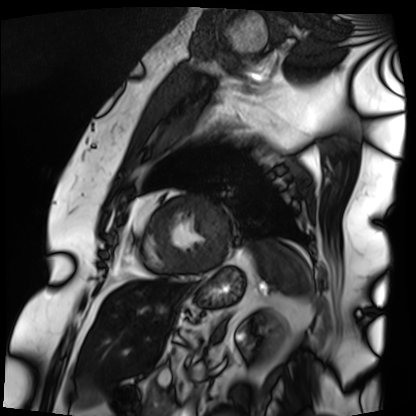
Q: What kind of scan is this?
A: Cardiac MRI.
Subject group: patient.